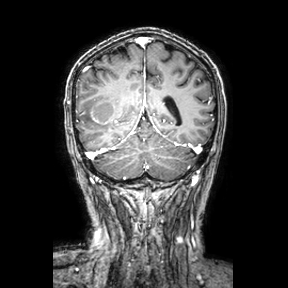
Q: What kind of scan is this?
A: 3 Tesla brain MRI.
Q: Series?
A: Coronal.
Study: ring-enhancing brain masses.